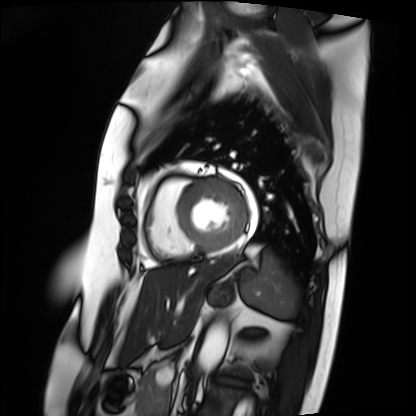
Cardiac MRI. Subject group: patient.